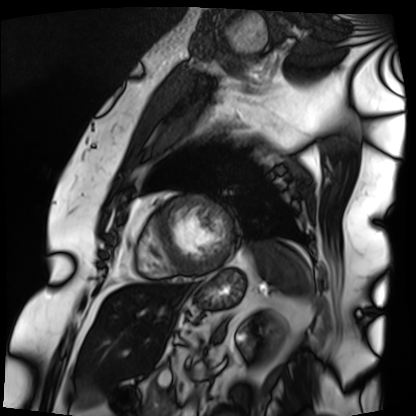
- modality · cardiac MRI
- subject group · patient